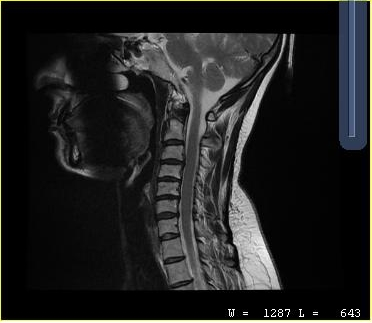
MRI of the cervical spine. Study: cervical spondylosis.